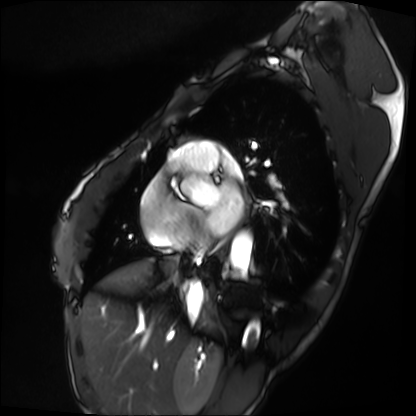
Case:
• modality — cardiac MRI
• subject group — patient